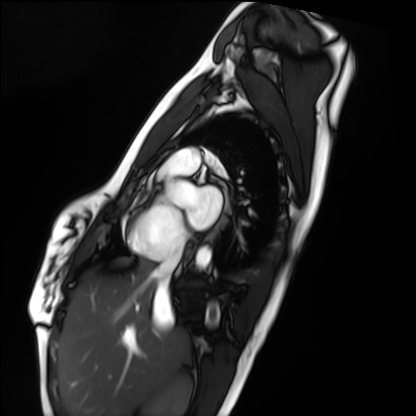
<scan>
  <modality>cardiac MRI</modality>
  <cohort>healthy volunteer</cohort>
</scan>